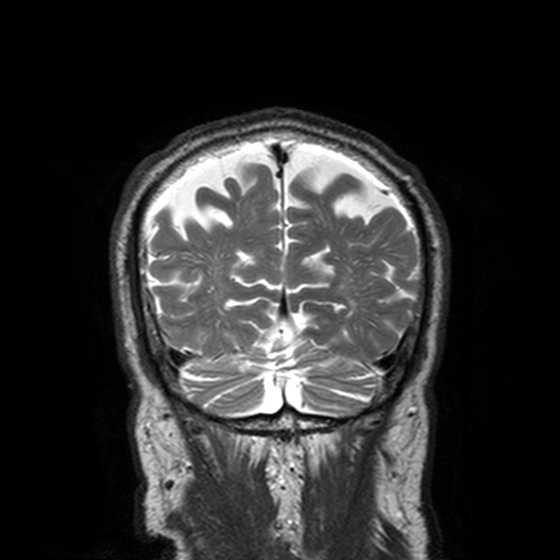
{
  "modality": {
    "type": "brain MRI",
    "field_strength": "3T"
  },
  "series": "T2-weighted turbo spin echo, 3 mm",
  "study_topic": "ring-enhancing brain masses"
}